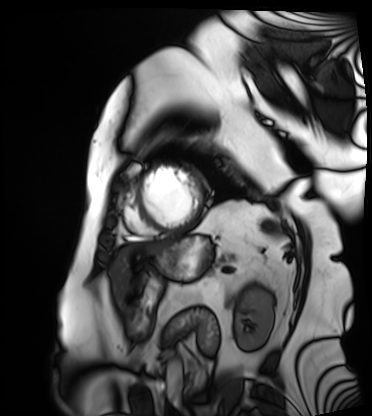
Summary:
Cardiac MRI. Subject group: patient.